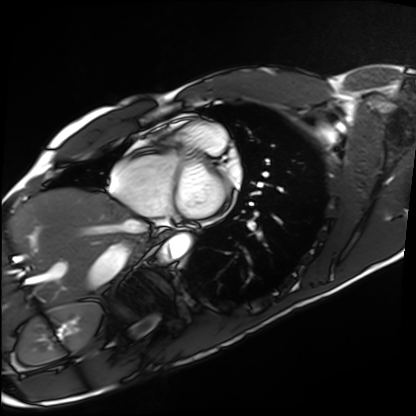
Summary:
Cardiac MRI. Subject group: healthy volunteer.